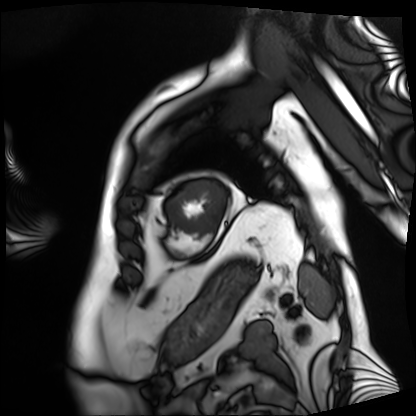
Cardiac MRI.
Subject group: patient.